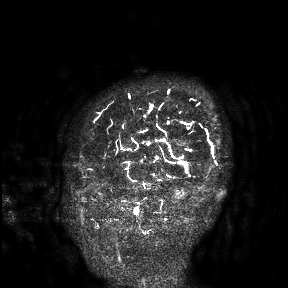
3 Tesla brain MRI. Study: ring-enhancing brain masses.